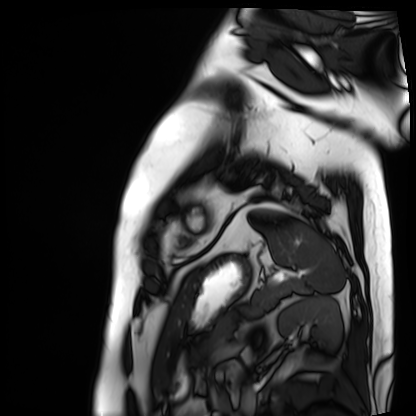
Cardiac MRI. Subject group: patient.